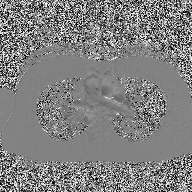
2D phase-contrast cine MRI of the ascending aorta, high-resolution GRAPPA acquisition.